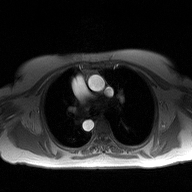
2D phase-contrast cine MRI of the ascending aorta, high-resolution GRAPPA acquisition.